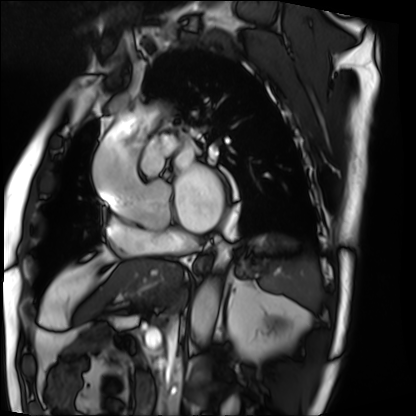
Clinical context: Cardiac MRI. Subject group: patient.